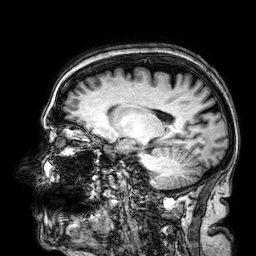
<record>
<modality>
  <type>brain MRI</type>
  <field_strength>3T</field_strength>
</modality>
<series>3D T1-weighted</series>
<study_topic>ring-enhancing brain masses</study_topic>
</record>